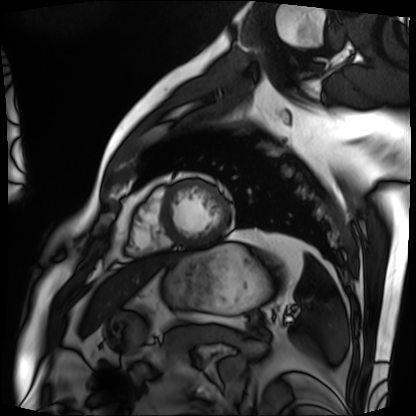
Cardiac MRI. Subject group: patient.